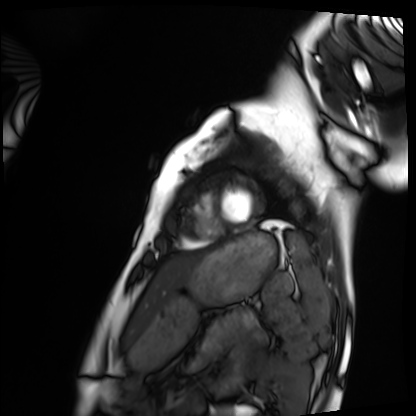
{"modality": "cardiac MRI", "cohort": "healthy volunteer"}